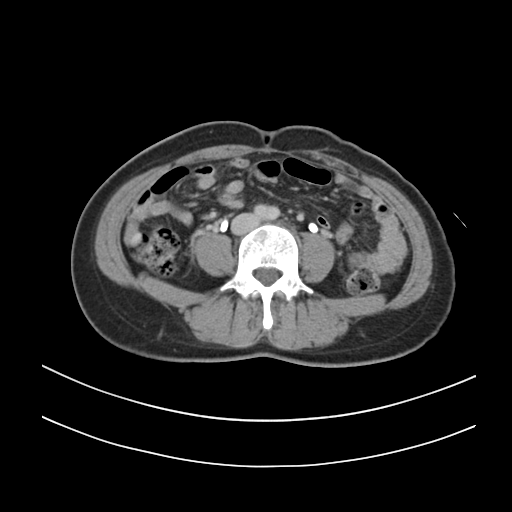
Q: What kind of scan is this?
A: Multiphase abdominal CT, liver, delayed phase.
Q: Patient?
A: Female, age 38.